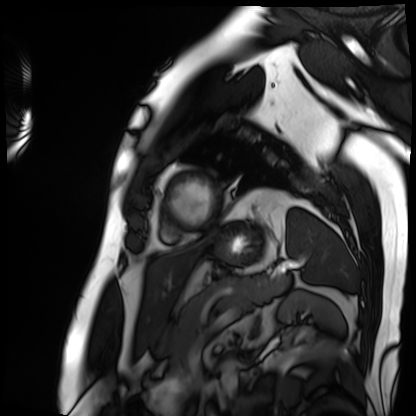
| field | value |
|---|---|
| modality | cardiac MRI |
| subject group | patient |